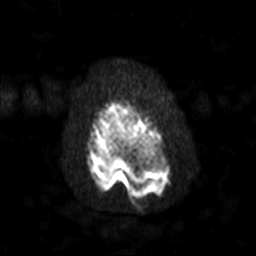
3 Tesla brain MRI. Series: diffusion-weighted imaging with SENSE (WIP). Study: ring-enhancing brain masses.